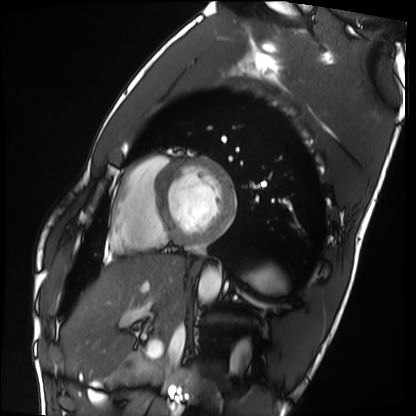
Cardiac MRI.
Subject group: healthy volunteer.